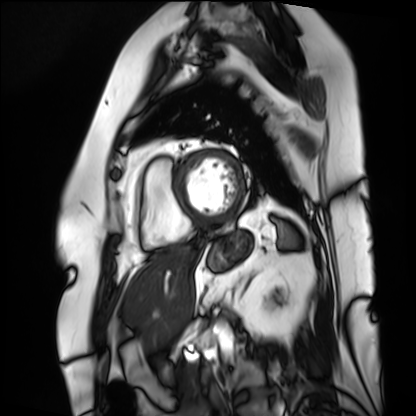
Summary:
Cardiac MRI. Subject group: patient.